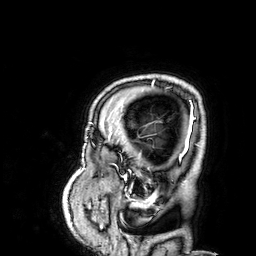
3 Tesla brain MRI. Series: 3D T1-weighted. Study: ring-enhancing brain masses.